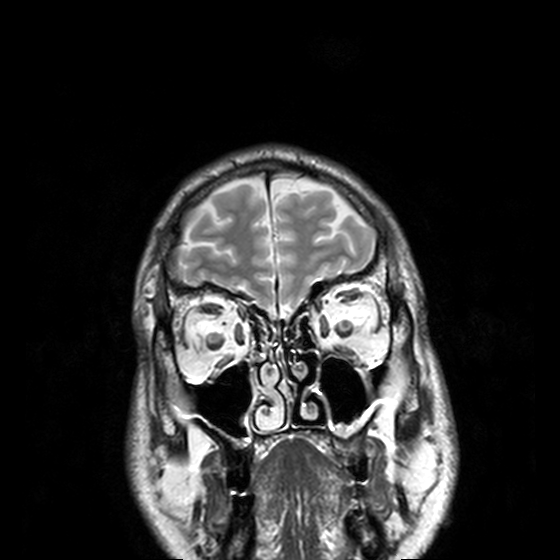
3 Tesla brain MRI. Series: T2-weighted turbo spin echo, 3 mm. Study: ring-enhancing brain masses.